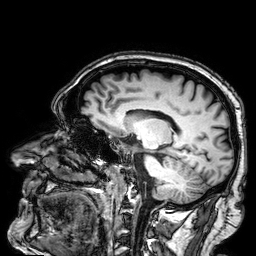
modality:
  type: brain MRI
  field_strength: 3T
series: 3D T1-weighted
study_topic: ring-enhancing brain masses